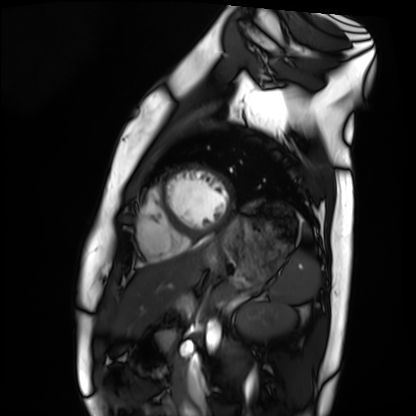
* modality — cardiac MRI
* subject group — healthy volunteer